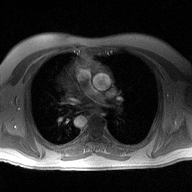
Case summary:
2D phase-contrast cine MRI of the ascending aorta, high-resolution GRAPPA acquisition.